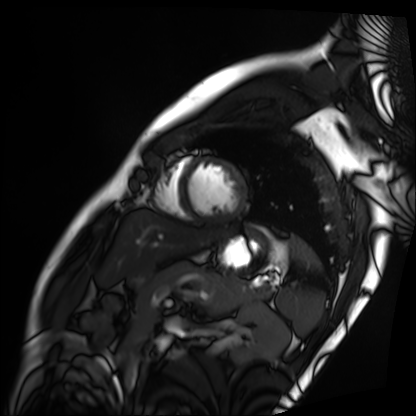
modality = cardiac MRI
subject group = patient